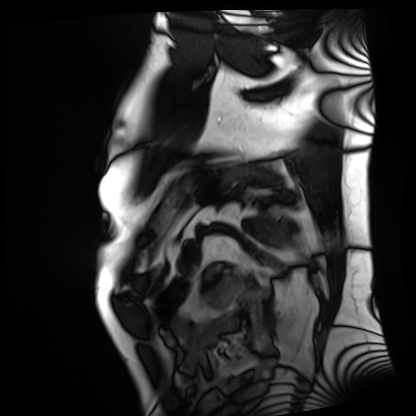
Clinical context:
Cardiac MRI. Subject group: patient.